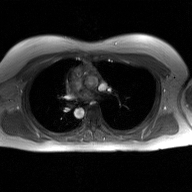
Case:
- modality · 2D phase-contrast cine MRI of the ascending aorta, GAN super-resolution reconstruction